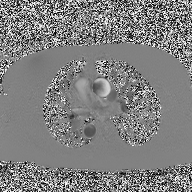
Summary:
2D phase-contrast cine MRI of the ascending aorta, high-resolution GRAPPA acquisition.